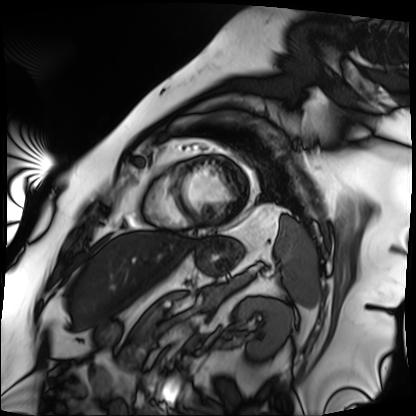
modality = cardiac MRI | subject group = patient.